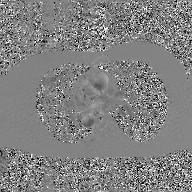
2D phase-contrast cine MRI of the ascending aorta, GAN super-resolution reconstruction.